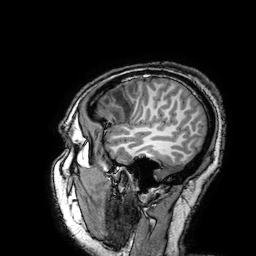
- modality: 3 Tesla brain MRI
- series: 3D T1-weighted turbo field echo with SENSE
- study: ring-enhancing brain masses